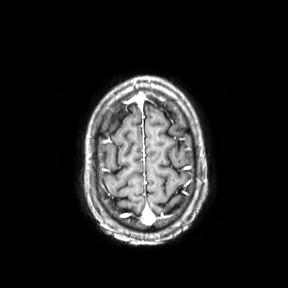
modality — 3 Tesla brain MRI | series — axial | study — ring-enhancing brain masses.